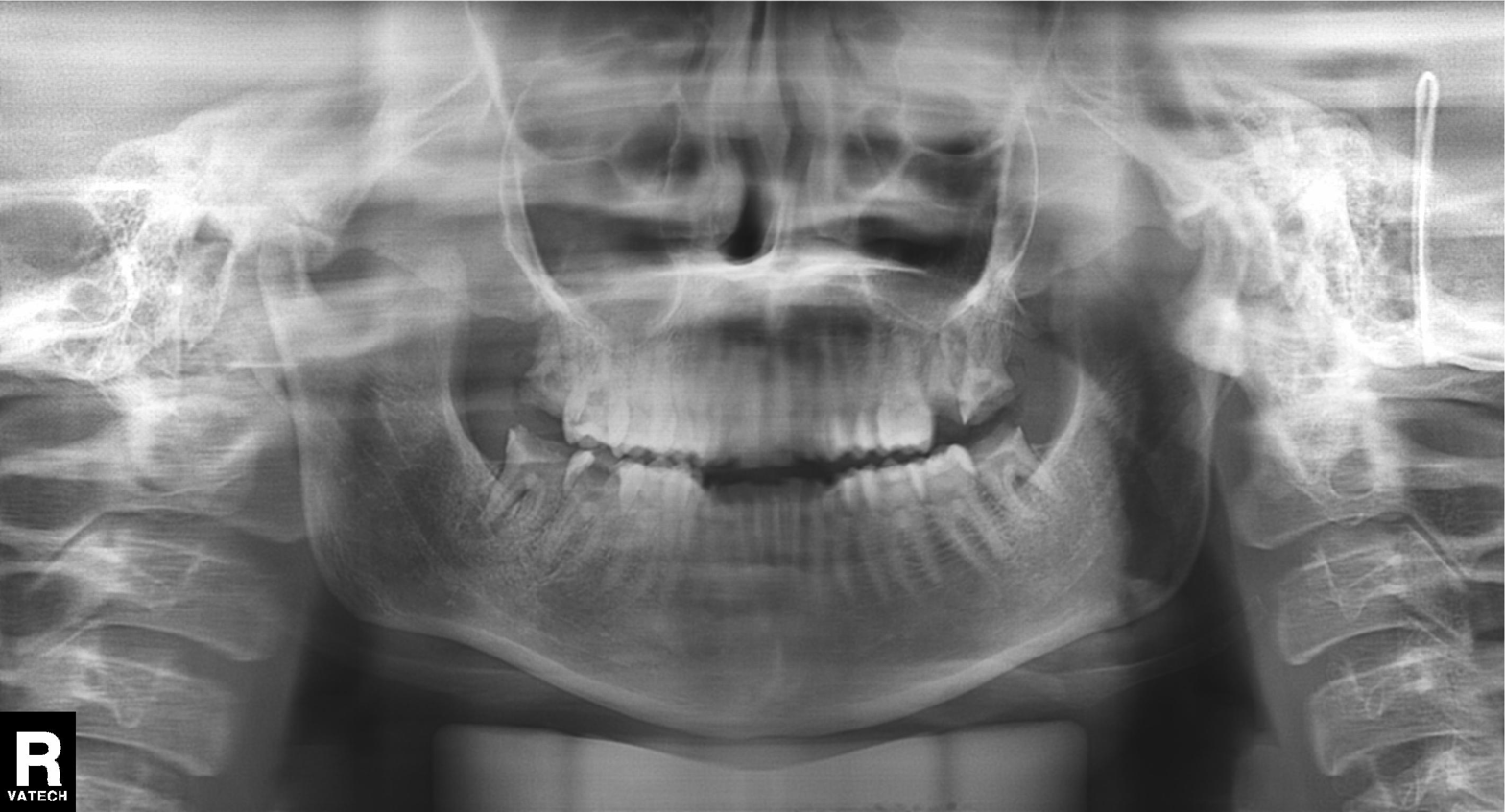
modality = panoramic dental radiograph (orthopantomogram)
finding = alveolar bone loss